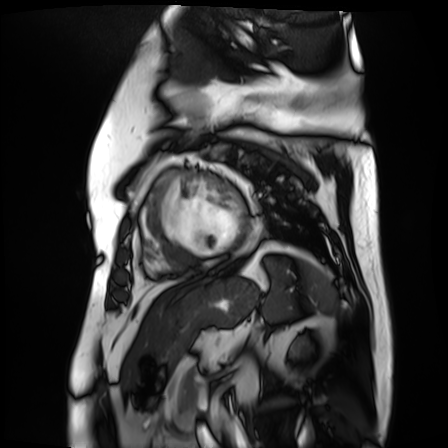
| field | value |
|---|---|
| modality | cardiac MR image of the myocardium |
| subject cohort | cardiac patient |